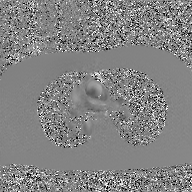
2D phase-contrast cine MRI of the ascending aorta, GAN super-resolution reconstruction.